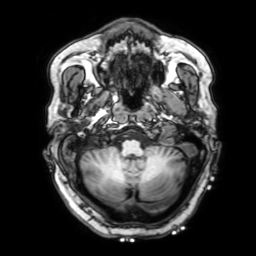
3 Tesla brain MRI. Series: 3D T1-weighted with SENSE. Study: ring-enhancing brain masses.